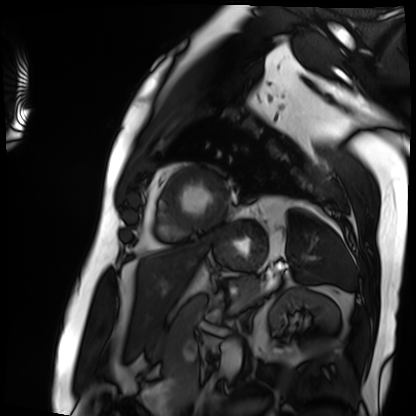
modality — cardiac MRI; subject group — patient.